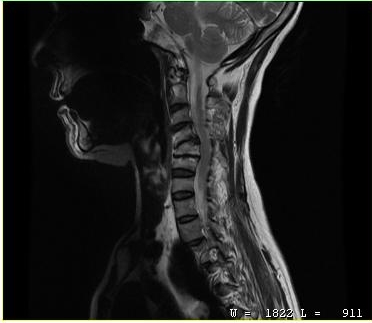
Clinical context:
MRI of the cervical spine. Study: cervical spondylosis.